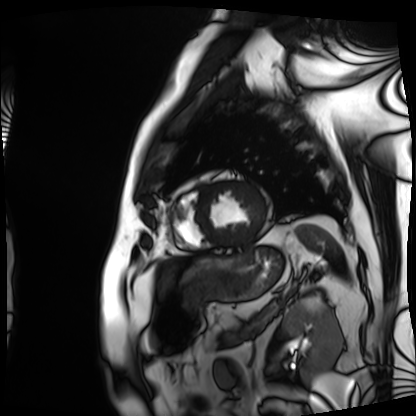
- modality — cardiac MRI
- subject group — patient